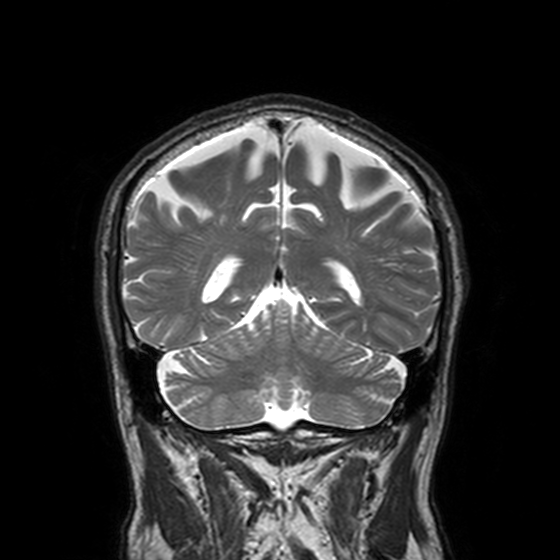
modality = 3 Tesla brain MRI; series = T2-weighted turbo spin echo, 3 mm; study = ring-enhancing brain masses.